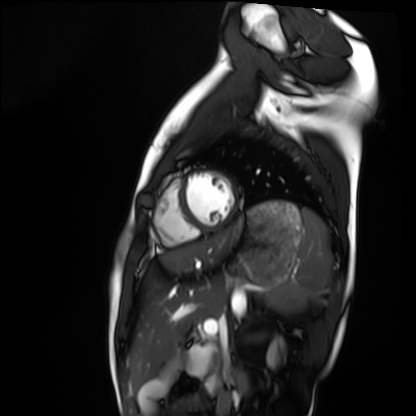
Cardiac MRI.
Subject group: healthy volunteer.